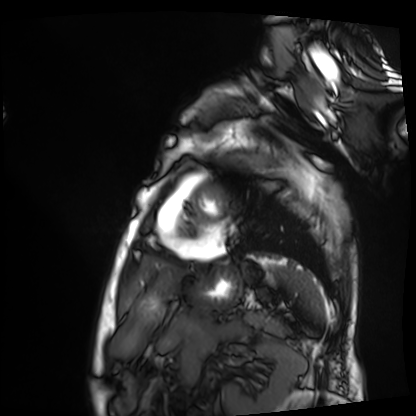
Cardiac MRI. Subject group: patient.